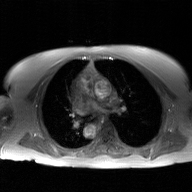
* modality — 2D phase-contrast cine MRI of the ascending aorta, GAN super-resolution reconstruction